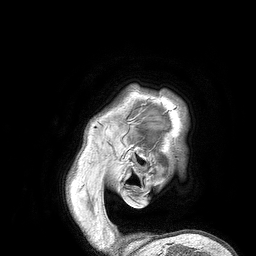
modality — 3 Tesla brain MRI | series — 3D T1-weighted turbo field echo | study — ring-enhancing brain masses.